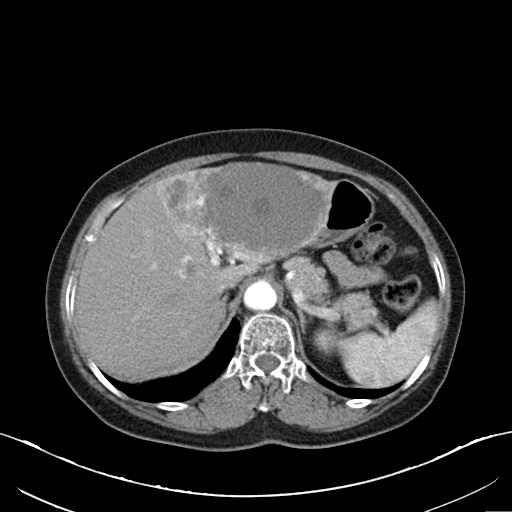
Summary:
Multiphase abdominal CT, liver, arterial phase. Patient: female, age 64.